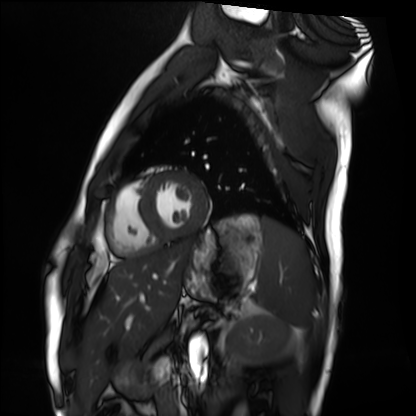
• modality · cardiac MRI
• subject group · healthy volunteer